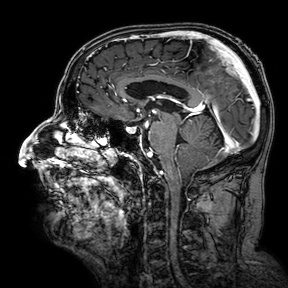
{"modality": {"type": "brain MRI", "field_strength": "3T"}, "series": "3D T1-weighted turbo field echo with SENSE", "study_topic": "ring-enhancing brain masses"}